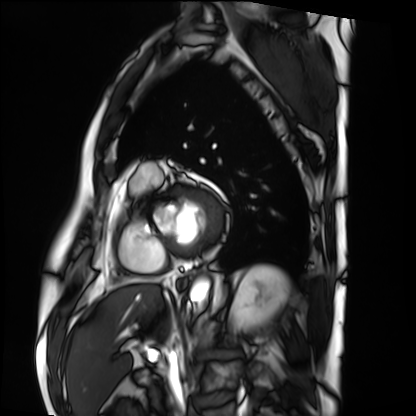
Cardiac MRI. Subject group: patient.